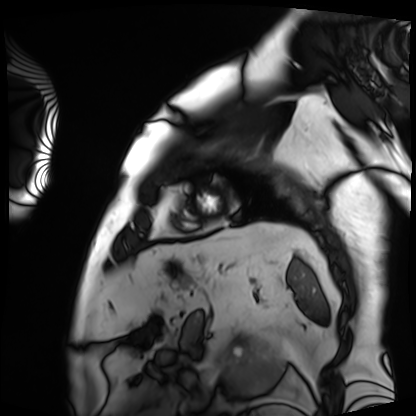
Summary: Cardiac MRI. Subject group: patient.